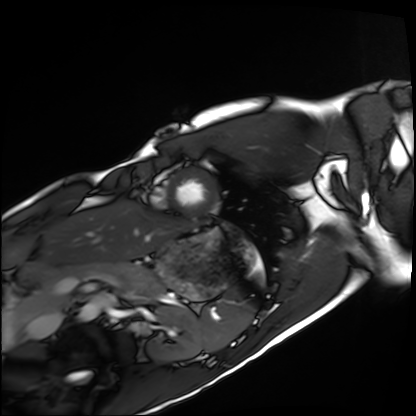
Cardiac MRI.
Subject group: healthy volunteer.